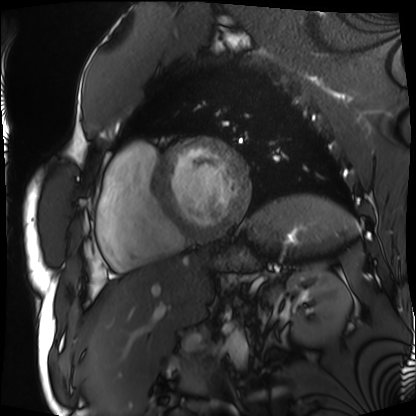
Case:
* modality — cardiac MRI
* subject group — patient